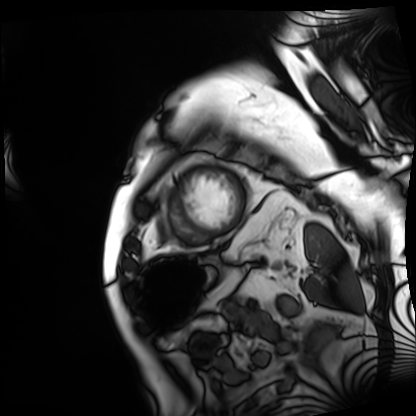
Cardiac MRI.
Subject group: patient.